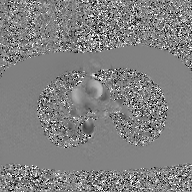
modality — 2D phase-contrast cine MRI of the ascending aorta, GAN super-resolution reconstruction